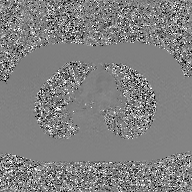
2D phase-contrast cine MRI of the ascending aorta, GAN super-resolution reconstruction.